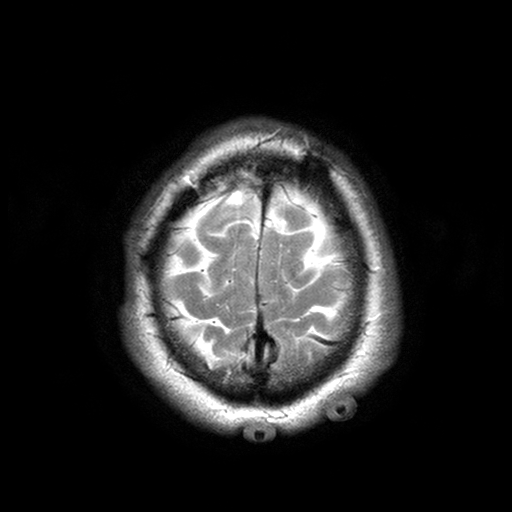
Case summary:
3 Tesla brain MRI. Series: T2-weighted turbo spin echo with SENSE. Study: ring-enhancing brain masses.